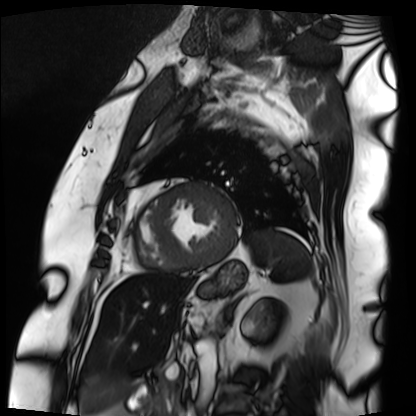
Case summary: Cardiac MRI. Subject group: patient.